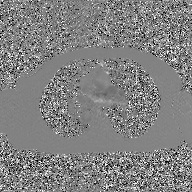
<scan>
  <modality>
    <type>2D phase-contrast cine MRI</type>
    <region>ascending aorta</region>
    <reconstruction>GAN super-resolution reconstruction</reconstruction>
  </modality>
</scan>